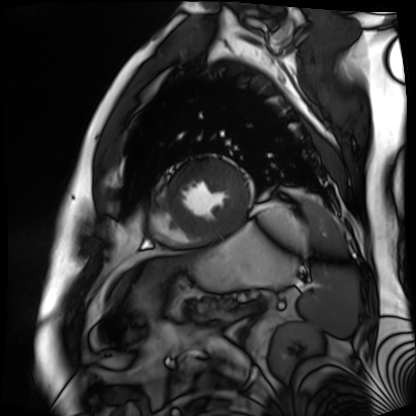
| field | value |
|---|---|
| modality | cardiac MR image of the myocardium |
| subject cohort | cardiac patient |